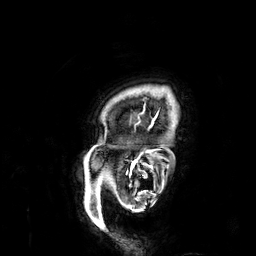
3 Tesla brain MRI. Series: 3D T1-weighted. Study: ring-enhancing brain masses.